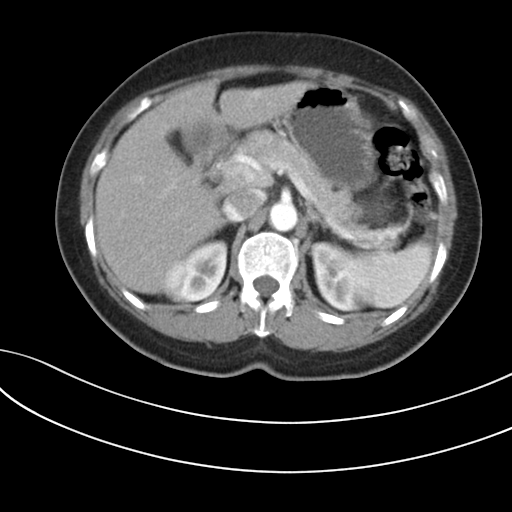
Multiphase abdominal CT, liver, arterial phase. Patient: female, age 60. History: prior chemotherapy.